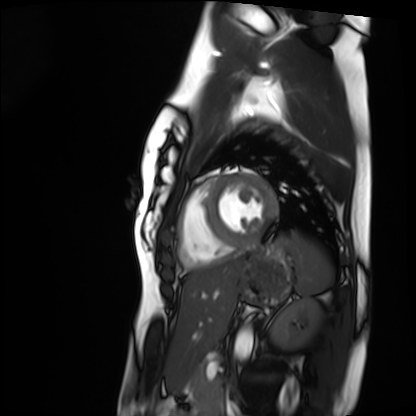
Cardiac MRI.
Subject group: healthy volunteer.